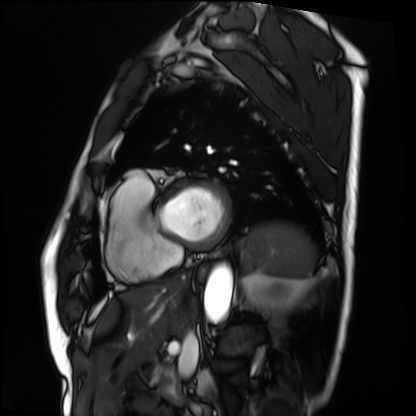
modality = cardiac MRI; subject group = patient.